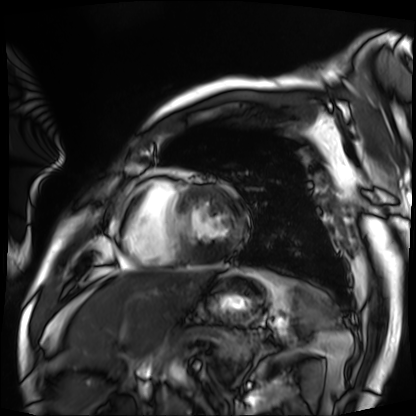
modality: cardiac MRI | subject group: patient.